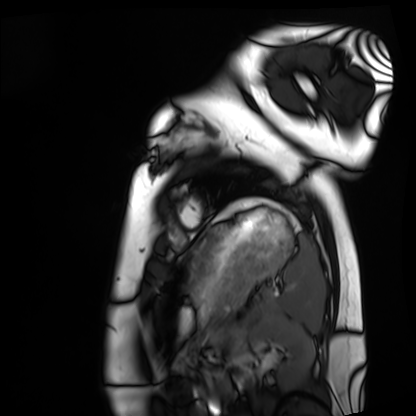
Cardiac MRI. Subject group: healthy volunteer.